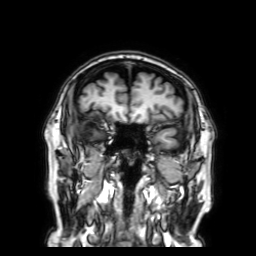
3 Tesla brain MRI.
Study: ring-enhancing brain masses.